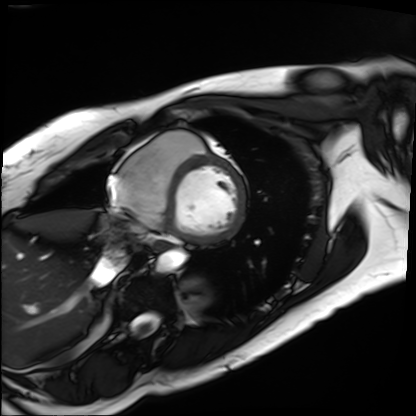
modality: cardiac MRI, subject group: patient.